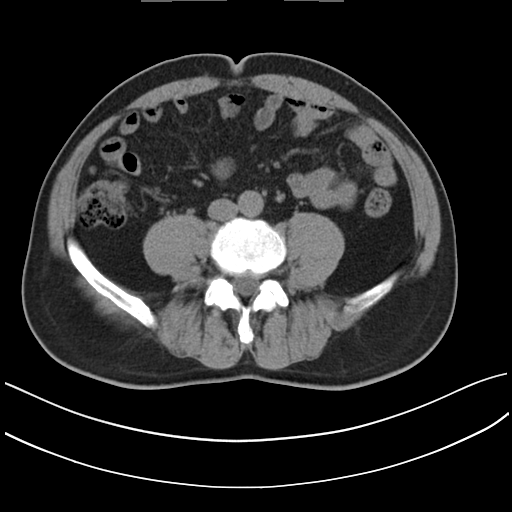
• modality: multiphase abdominal CT, liver, non-contrast phase
• patient: male, age 62